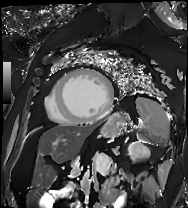
Cardiac MRI. Subject group: patient.